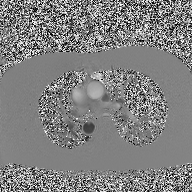
2D phase-contrast cine MRI of the ascending aorta, high-resolution GRAPPA acquisition.